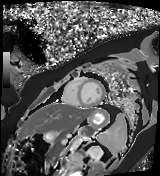
  modality: cardiac MR image of the myocardium
  cohort: healthy volunteer